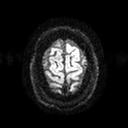
3 Tesla brain MRI. Series: diffusion tensor imaging (medium iso). Study: ring-enhancing brain masses.